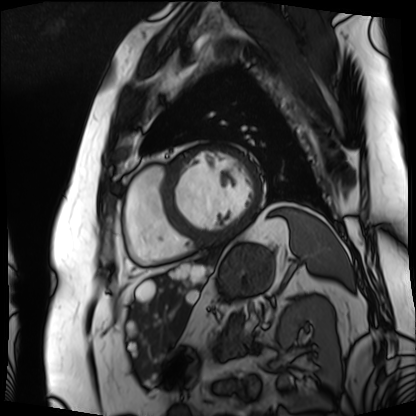
Cardiac MRI. Subject group: patient.